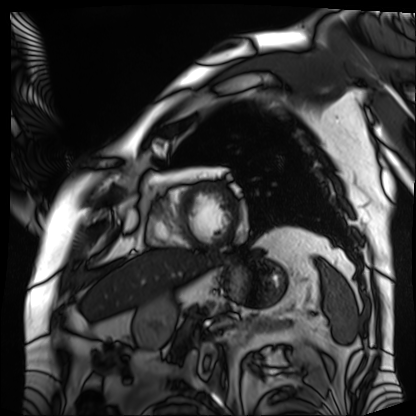
modality: cardiac MRI
cohort: patient